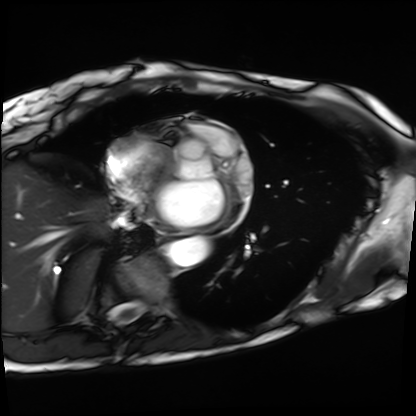
Q: What kind of scan is this?
A: Cardiac MRI.
Subject group: patient.